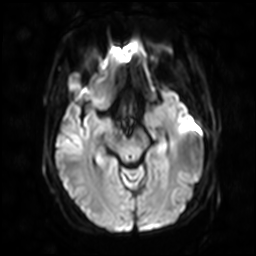
Summary: 3 Tesla brain MRI. Series: diffusion-weighted imaging with SENSE (WIP). Study: ring-enhancing brain masses.